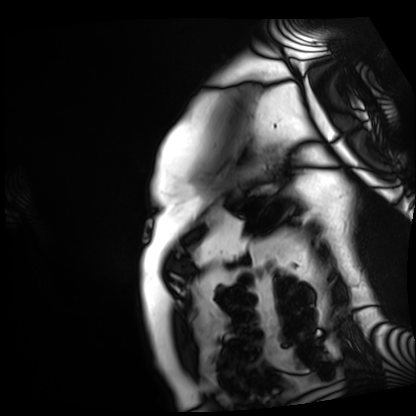
modality: cardiac MRI; subject group: patient.